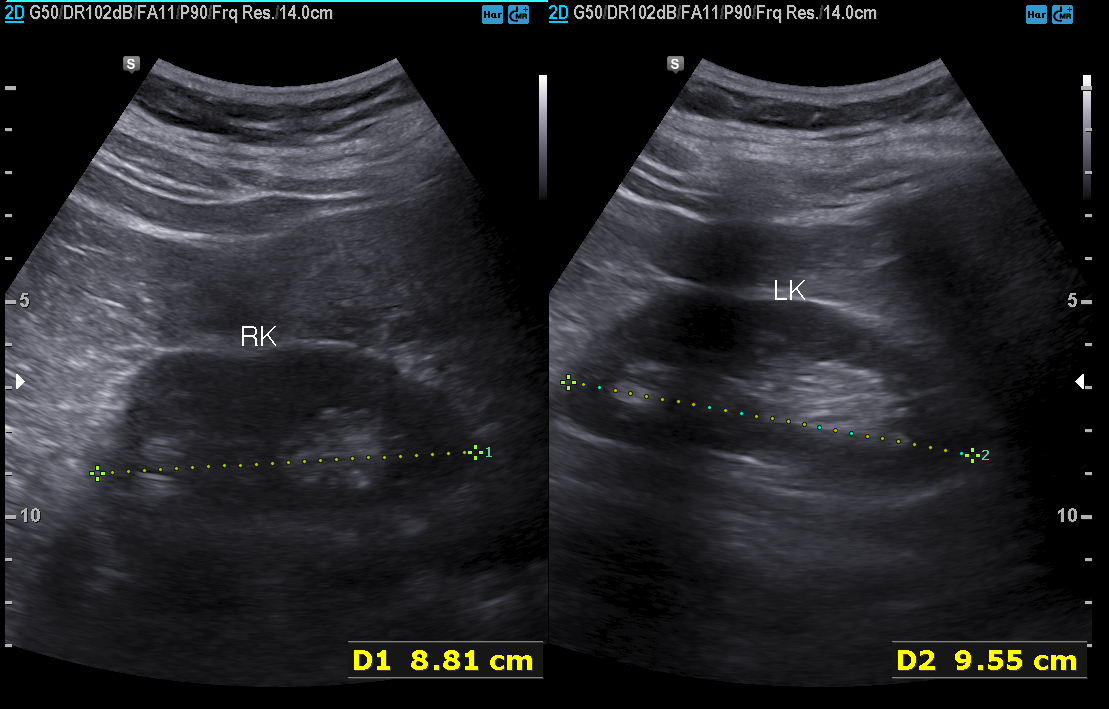
{"modality": {"type": "genitourinary ultrasound"}}